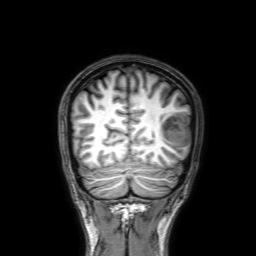
- modality — 3 Tesla brain MRI
- study — ring-enhancing brain masses